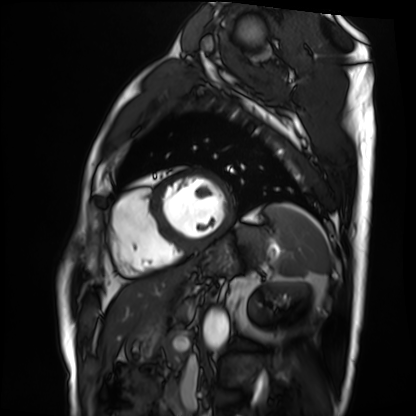
modality: cardiac MRI
subject group: patient